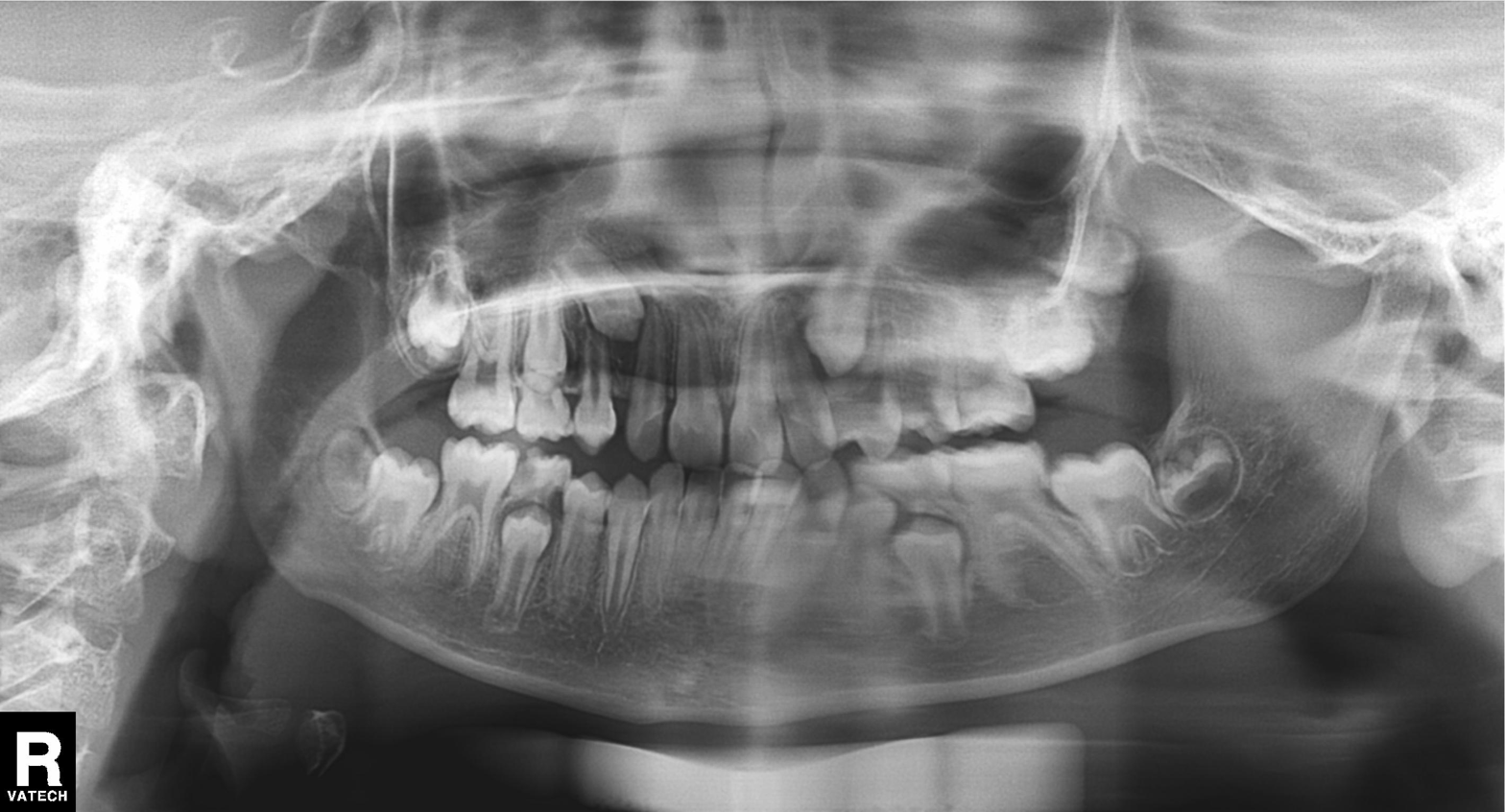
– modality — panoramic dental radiograph (orthopantomogram)
– finding — tooth impaction